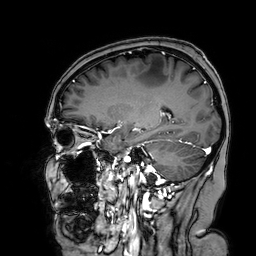
3 Tesla brain MRI.
Series: 3D T1-weighted turbo field echo with SENSE.
Study: ring-enhancing brain masses.